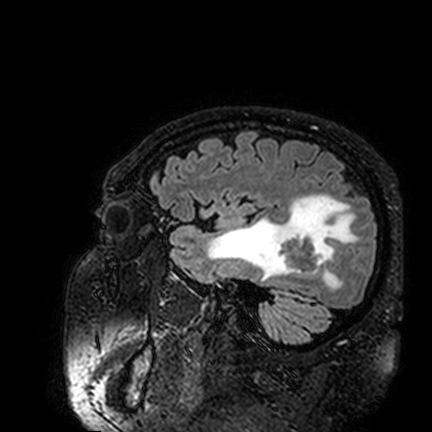
{"modality": {"type": "brain MRI", "field_strength": "3T"}, "series": "FLAIR VISTA", "study_topic": "ring-enhancing brain masses"}